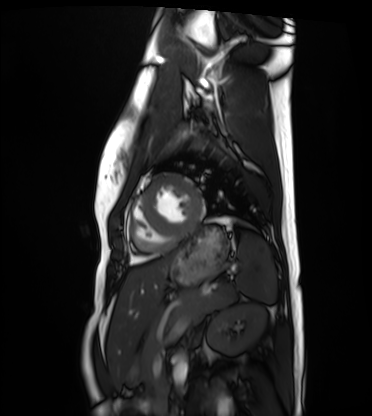
Q: What kind of scan is this?
A: Cardiac MRI.
Subject group: healthy volunteer.